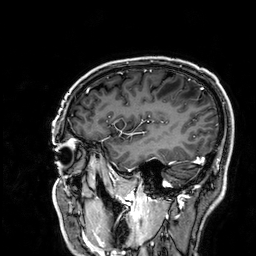
{"modality": {"type": "brain MRI", "field_strength": "3T"}, "series": "3D T1-weighted", "study_topic": "ring-enhancing brain masses"}